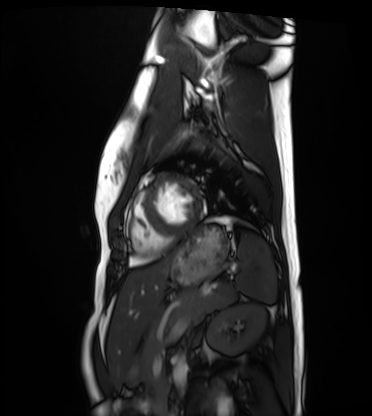
Cardiac MRI. Subject group: healthy volunteer.